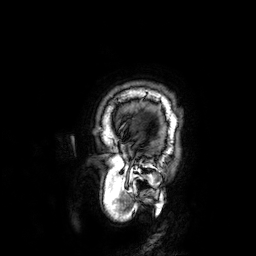
Q: What kind of scan is this?
A: 3 Tesla brain MRI.
Q: Series?
A: 3D T1-weighted.
Study: ring-enhancing brain masses.